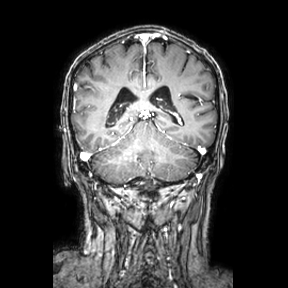
3 Tesla brain MRI. Series: coronal. Study: ring-enhancing brain masses.